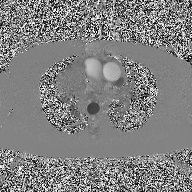
<case>
  <modality>
    <type>2D phase-contrast cine MRI</type>
    <region>ascending aorta</region>
    <reconstruction>high-resolution GRAPPA acquisition</reconstruction>
  </modality>
</case>